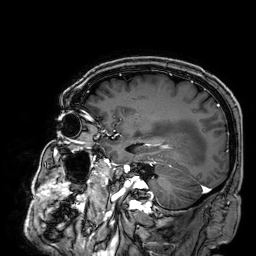
Summary:
3 Tesla brain MRI. Series: 3D T1-weighted. Study: ring-enhancing brain masses.